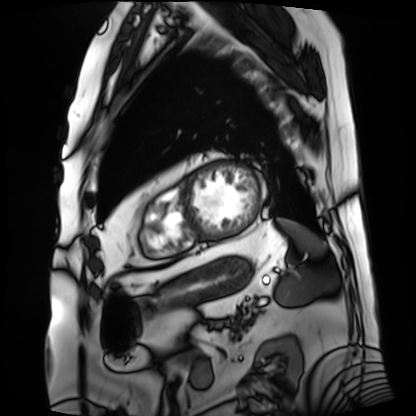
Cardiac MRI. Subject group: patient.